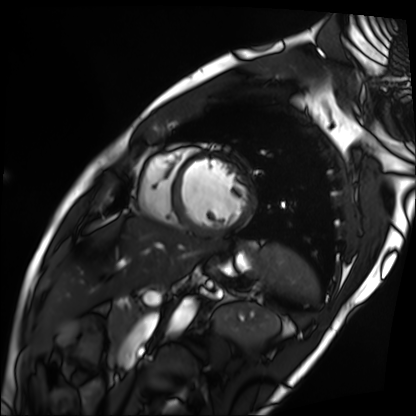
Summary:
Cardiac MRI. Subject group: patient.